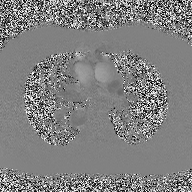
2D phase-contrast cine MRI of the ascending aorta, high-resolution GRAPPA acquisition.